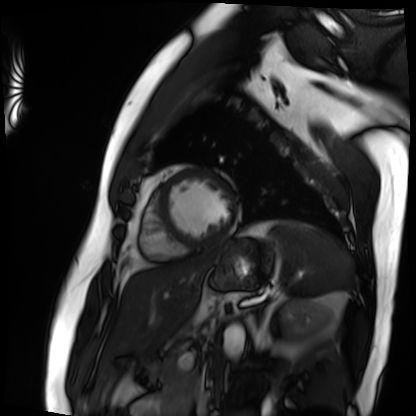
Cardiac MRI. Subject group: patient.